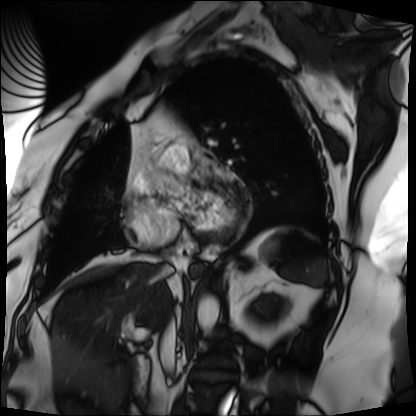
Cardiac MRI. Subject group: patient.